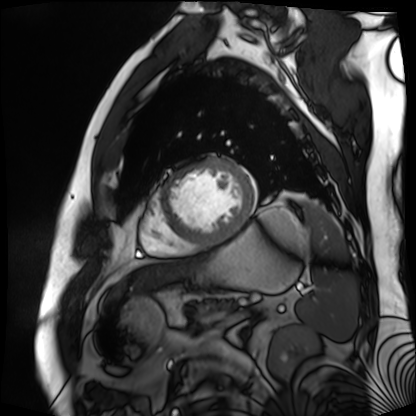
Cardiac MR image of the myocardium.
Subject cohort: cardiac patient.